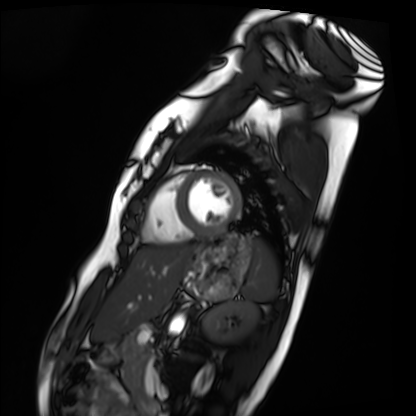
{
  "modality": "cardiac MRI",
  "cohort": "healthy volunteer"
}